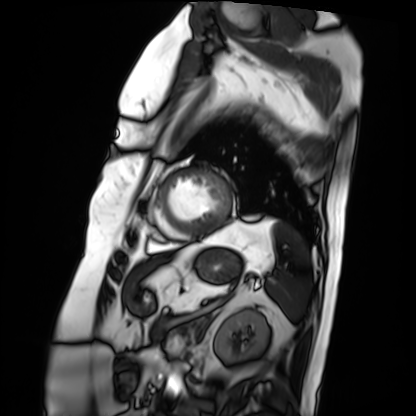
Cardiac MRI.
Subject group: patient.